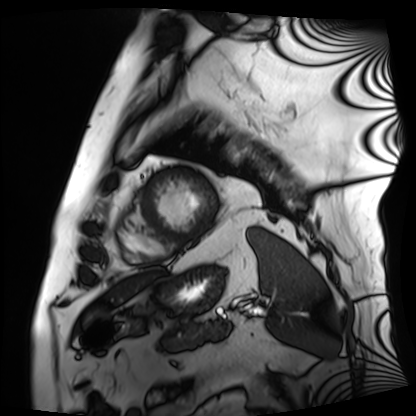
Summary: Cardiac MRI. Subject group: patient.